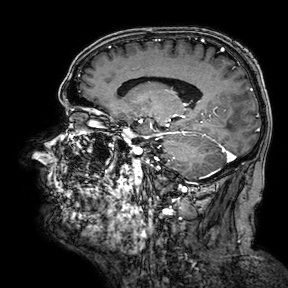
modality = 3 Tesla brain MRI; series = 3D T1-weighted turbo field echo with SENSE; study = ring-enhancing brain masses.